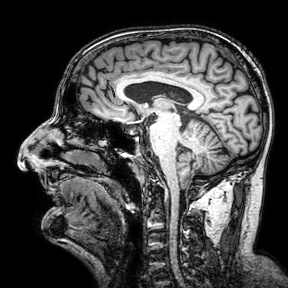
3 Tesla brain MRI.
Series: 3D T1-weighted turbo field echo with SENSE.
Study: ring-enhancing brain masses.